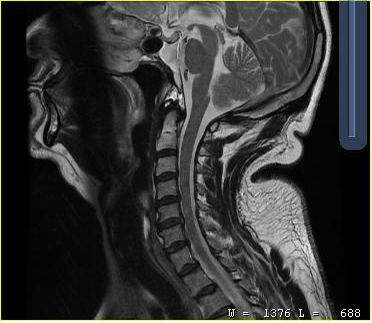
Q: What kind of scan is this?
A: MRI of the cervical spine.
Study: cervical spondylosis.